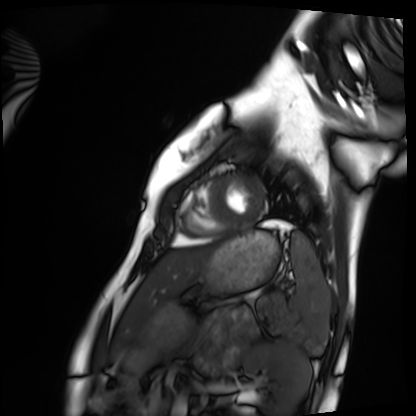
modality: cardiac MRI
cohort: healthy volunteer